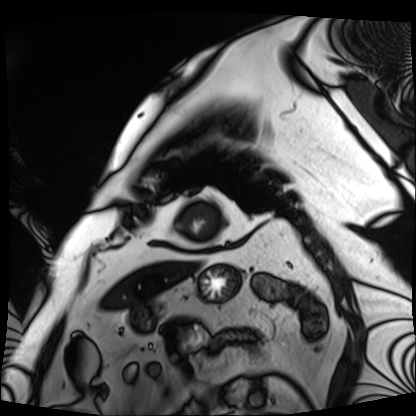
– modality — cardiac MRI
– subject group — patient